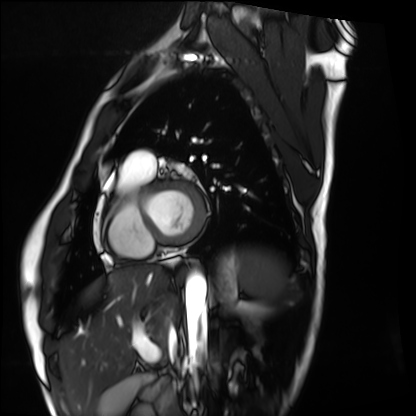
Cardiac MRI. Subject group: healthy volunteer.